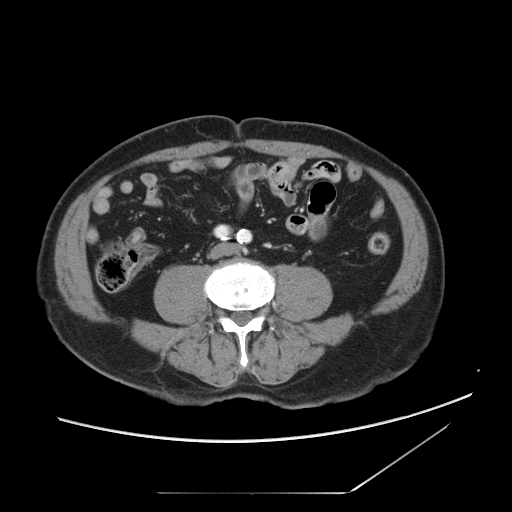
modality:
  type: multiphase abdominal CT
  region: liver
  phase: portal venous
patient:
  sex: male
  age: 75